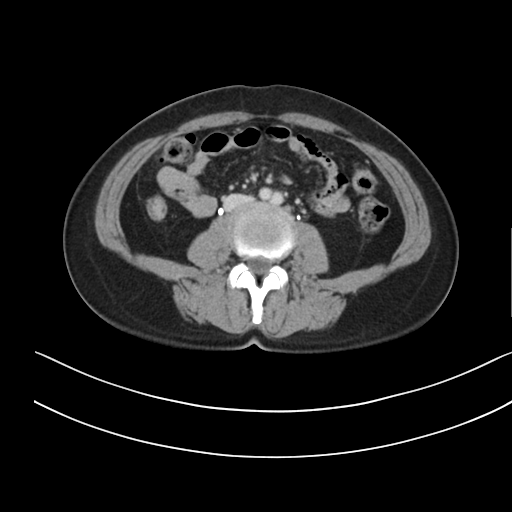
  modality:
    type: multiphase abdominal CT
    region: liver
    phase: delayed
  patient:
    sex: female
    age: 47
  history:
    - prior chemotherapy